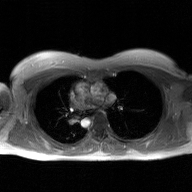
modality=2D phase-contrast cine MRI of the ascending aorta, GAN super-resolution reconstruction.